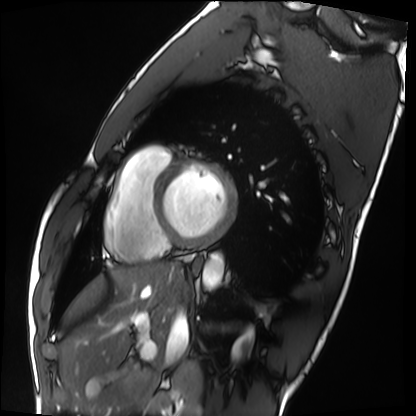
Cardiac MRI. Subject group: healthy volunteer.